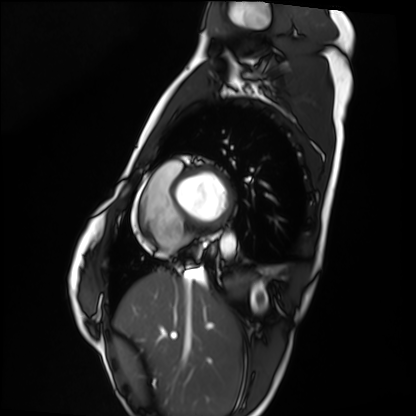
Q: What kind of scan is this?
A: Cardiac MRI.
Subject group: healthy volunteer.